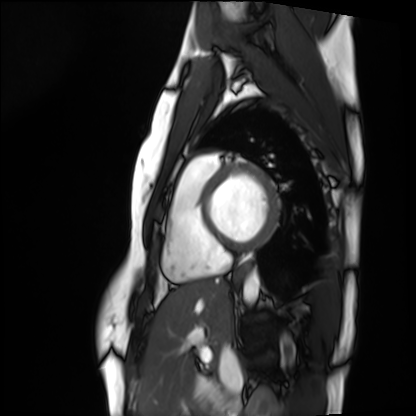
Cardiac MRI. Subject group: healthy volunteer.